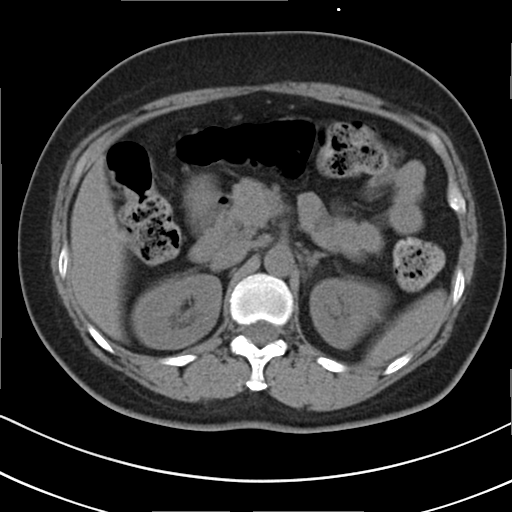
  modality:
    type: multiphase abdominal CT
    region: liver
    phase: non-contrast
  patient:
    sex: female
    age: 55
  history:
    - prior chemotherapy